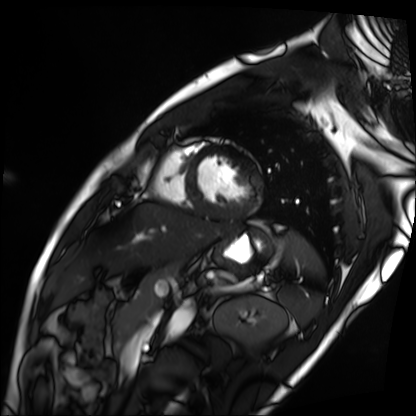
Cardiac MRI.
Subject group: patient.